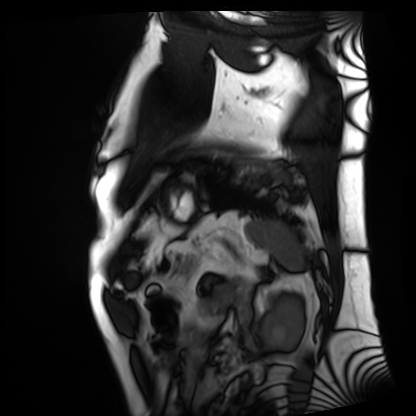
Cardiac MRI. Subject group: patient.